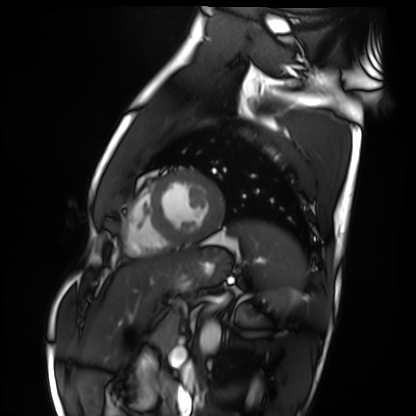
Summary: Cardiac MRI. Subject group: healthy volunteer.